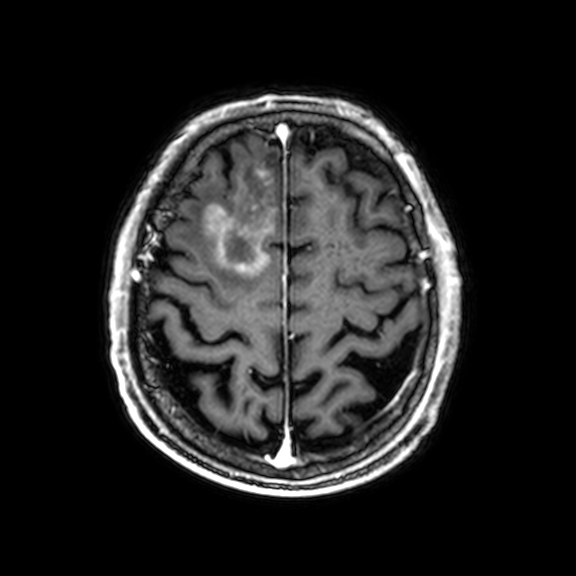
Clinical context: 3 Tesla brain MRI. Series: 3D T1-weighted with CLEAR. Study: ring-enhancing brain masses.